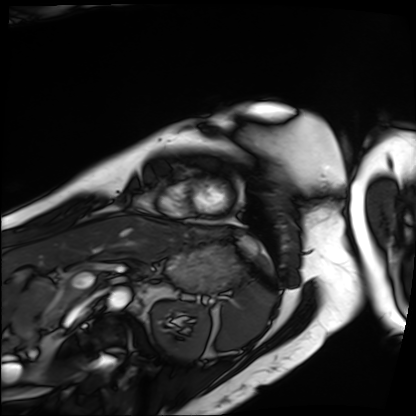
modality=cardiac MRI | subject group=patient.